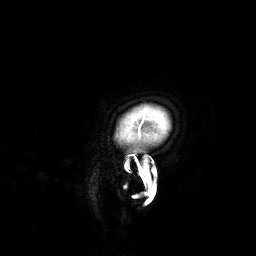
  modality:
    type: brain MRI
    field_strength: 3T
  series: 3D T1-weighted
  study_topic: ring-enhancing brain masses